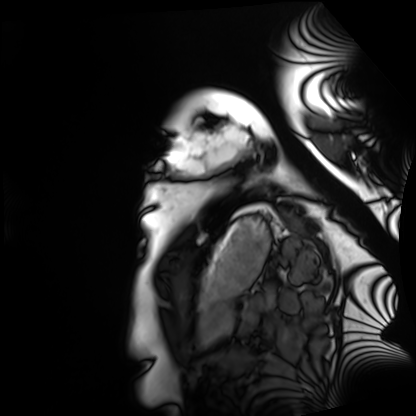
Q: What kind of scan is this?
A: Cardiac MRI.
Subject group: healthy volunteer.